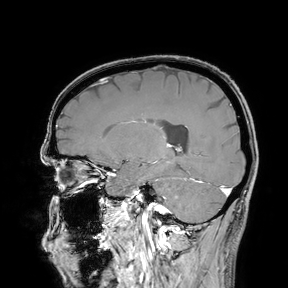
Clinical context:
3 Tesla brain MRI. Study: ring-enhancing brain masses.